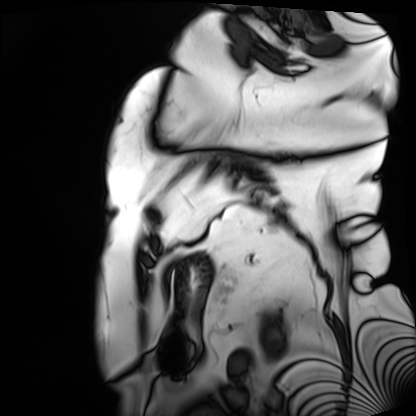
Cardiac MRI. Subject group: patient.